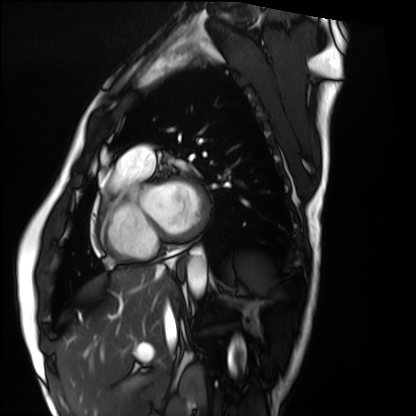
Case:
• modality: cardiac MRI
• subject group: healthy volunteer